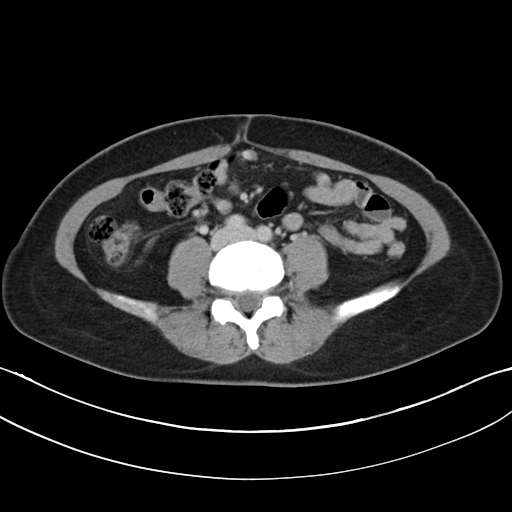
modality = multiphase abdominal CT, liver, delayed phase; patient = female, age 30.